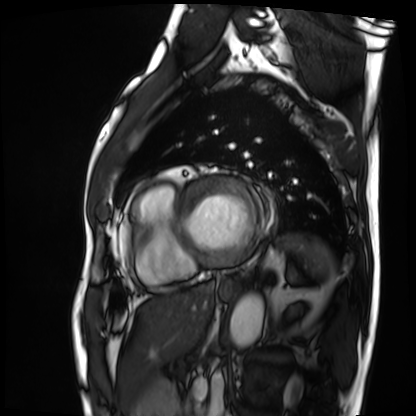
Q: What kind of scan is this?
A: Cardiac MRI.
Subject group: patient.